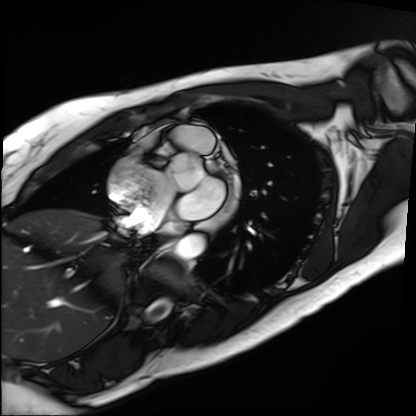
– modality: cardiac MRI
– subject group: patient